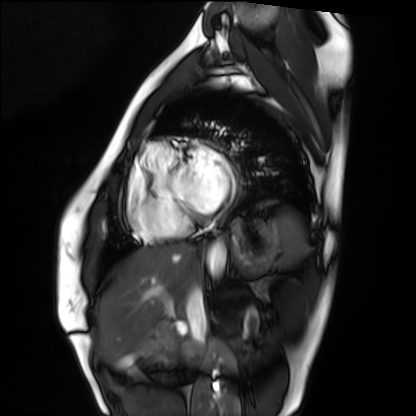
modality — cardiac MRI | subject group — healthy volunteer.